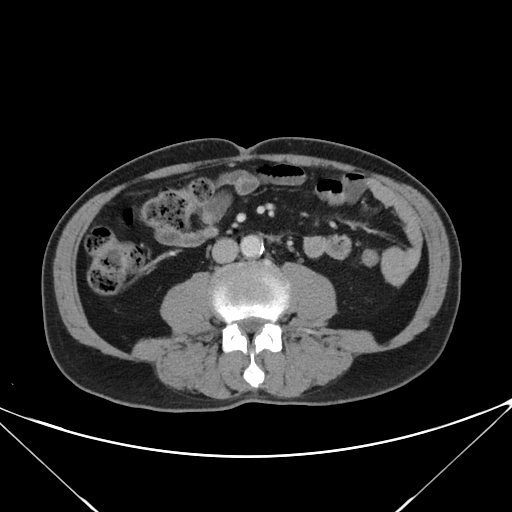
Summary:
Multiphase abdominal CT, liver, portal venous phase. Patient: male, age 68.